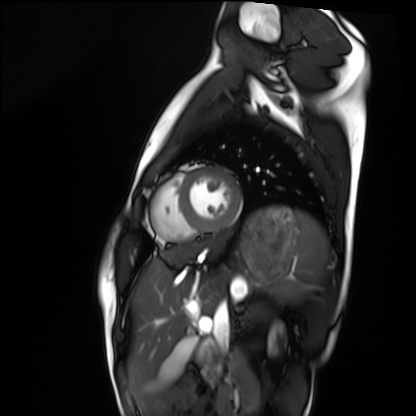
Cardiac MRI. Subject group: healthy volunteer.